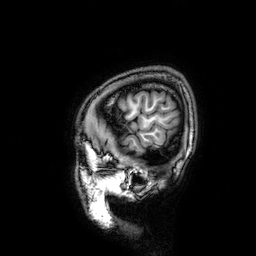
Summary: 3 Tesla brain MRI. Series: 3D T1-weighted. Study: ring-enhancing brain masses.